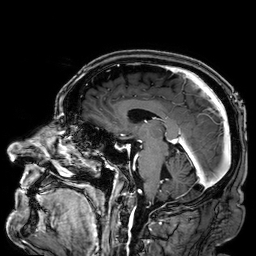
modality: 3 Tesla brain MRI | series: 3D T1-weighted | study: ring-enhancing brain masses.